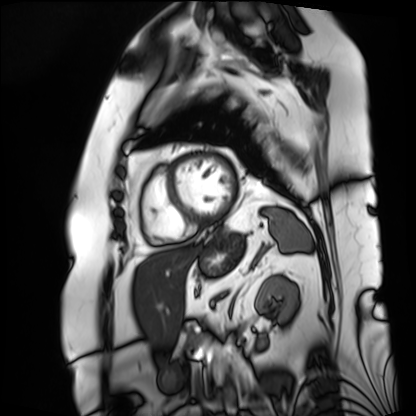
• modality: cardiac MRI
• subject group: patient